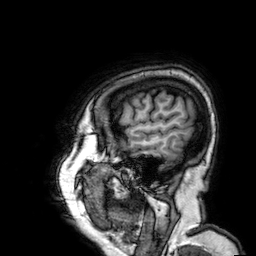
Q: What kind of scan is this?
A: 3 Tesla brain MRI.
Q: Series?
A: 3D T1-weighted.
Study: ring-enhancing brain masses.